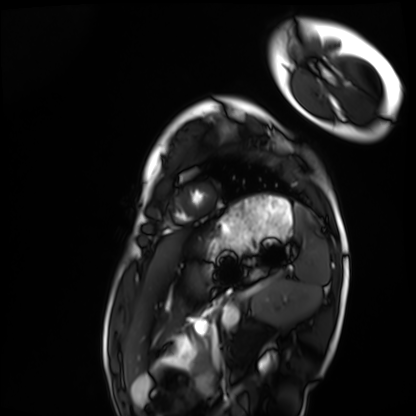
Case summary: Cardiac MRI. Subject group: healthy volunteer.